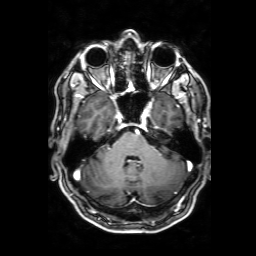
modality — 3 Tesla brain MRI
series — 3D T1-weighted with SENSE
study — ring-enhancing brain masses